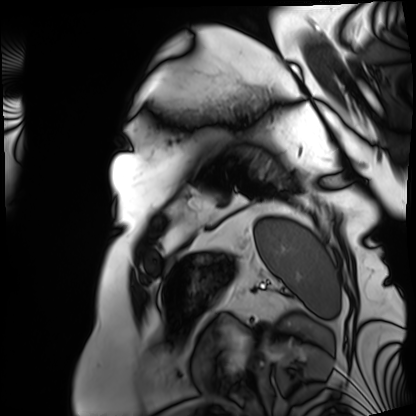
Cardiac MRI.
Subject group: patient.